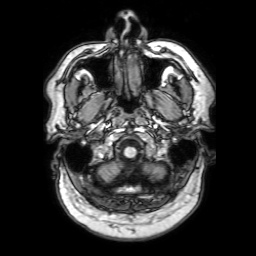
3 Tesla brain MRI. Series: 3D T1-weighted with SENSE. Study: ring-enhancing brain masses.